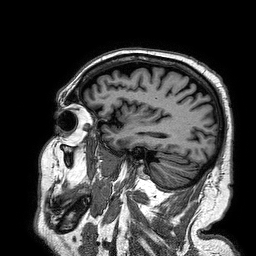
3 Tesla brain MRI.
Series: 3D T1-weighted turbo field echo.
Study: ring-enhancing brain masses.